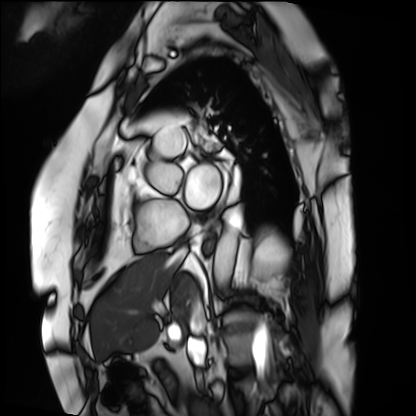
Cardiac MRI.
Subject group: patient.